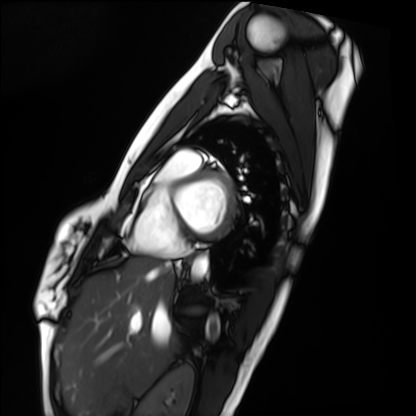
Clinical context:
Cardiac MRI. Subject group: healthy volunteer.